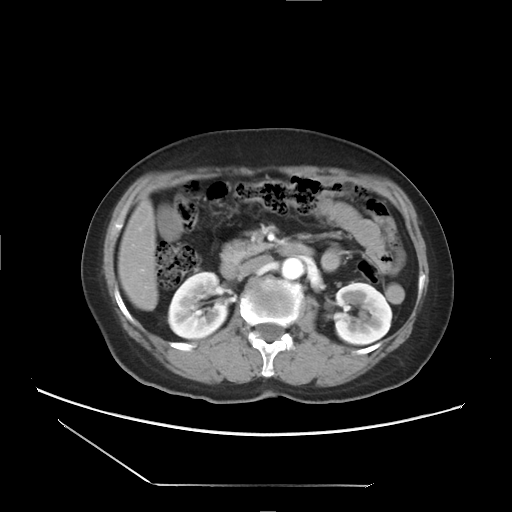
Clinical context: Multiphase abdominal CT, liver, arterial phase.